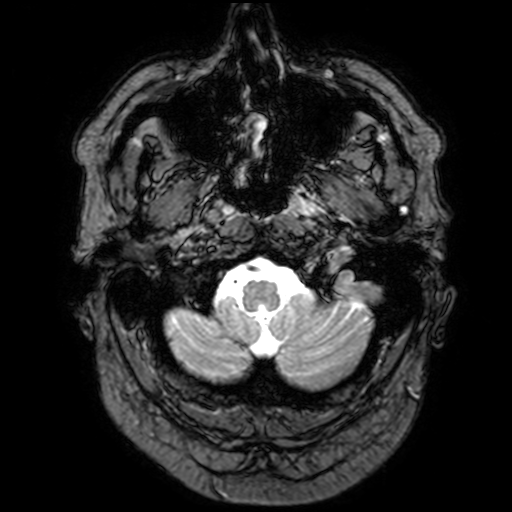
• modality · 3 Tesla brain MRI
• series · T2-weighted fast field echo with SENSE
• study · ring-enhancing brain masses